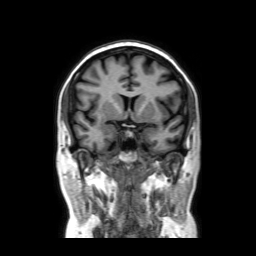
3 Tesla brain MRI.
Series: coronal without contrast.
Study: ring-enhancing brain masses.